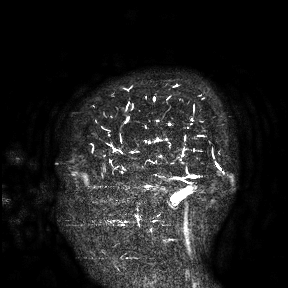
{
  "modality": {
    "type": "brain MRI",
    "field_strength": "3T"
  },
  "study_topic": "ring-enhancing brain masses"
}